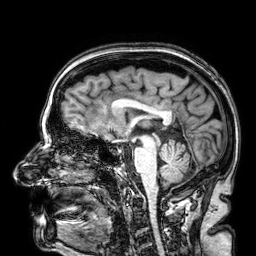
Case:
• modality · 3 Tesla brain MRI
• series · 3D T1-weighted
• study · ring-enhancing brain masses